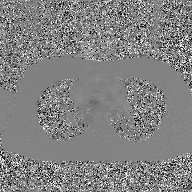
Case:
* modality · 2D phase-contrast cine MRI of the ascending aorta, GAN super-resolution reconstruction